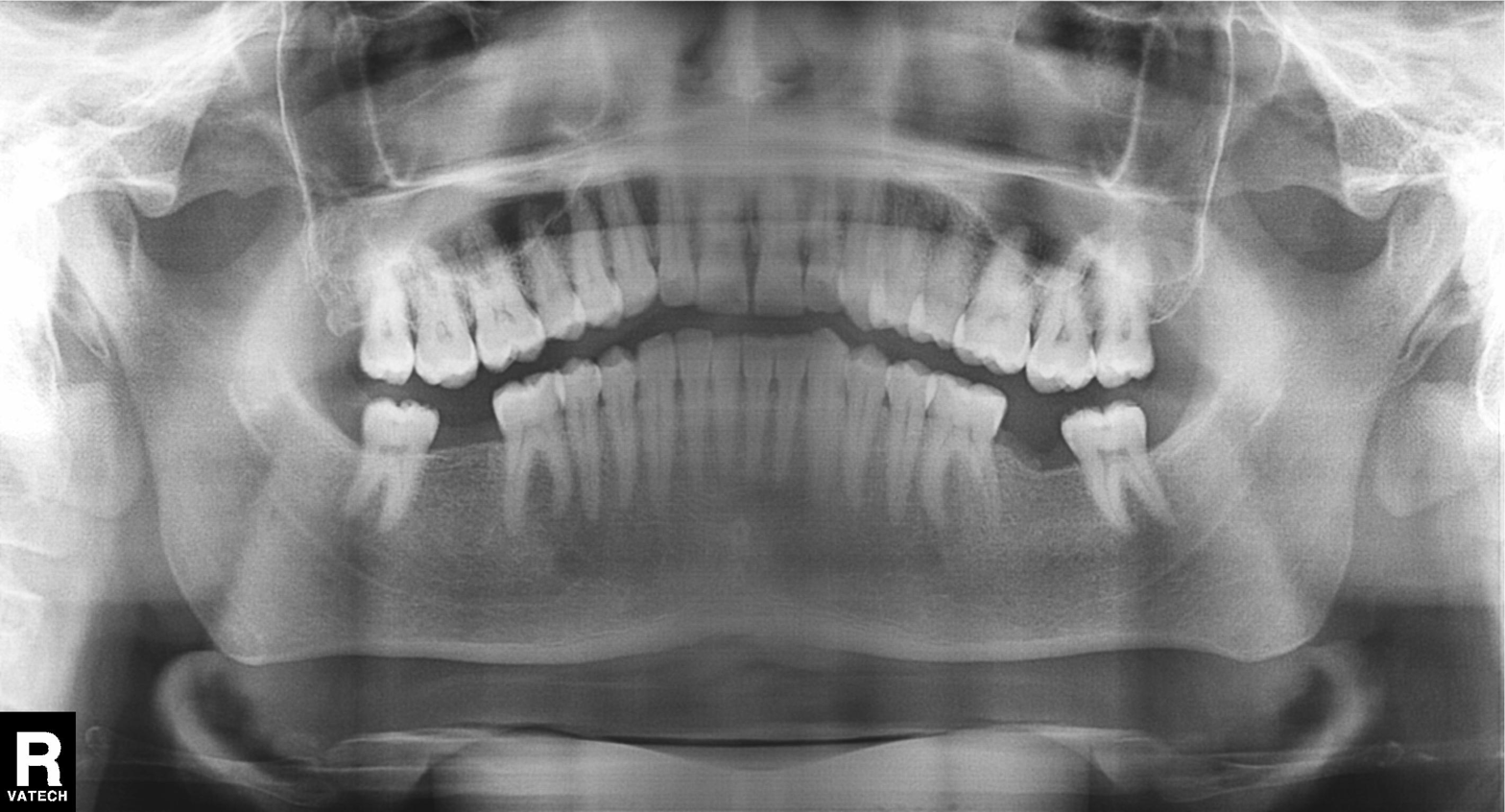
modality — panoramic dental radiograph (orthopantomogram); finding — alveolar bone loss.